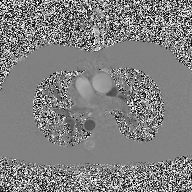
2D phase-contrast cine MRI of the ascending aorta, high-resolution GRAPPA acquisition.